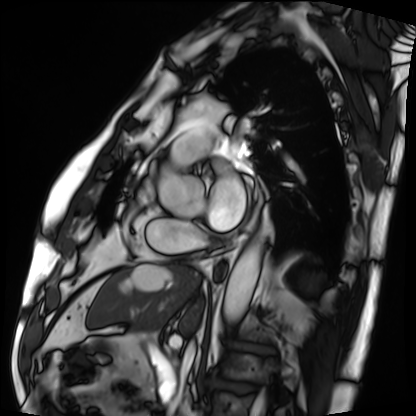
Cardiac MRI. Subject group: patient.